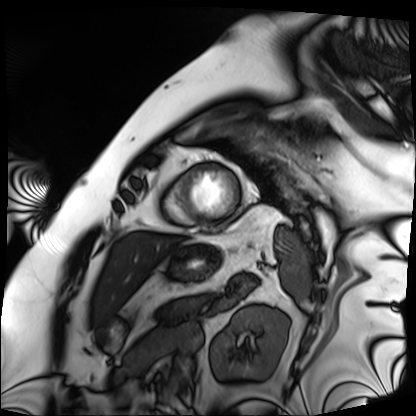
Q: What kind of scan is this?
A: Cardiac MRI.
Subject group: patient.